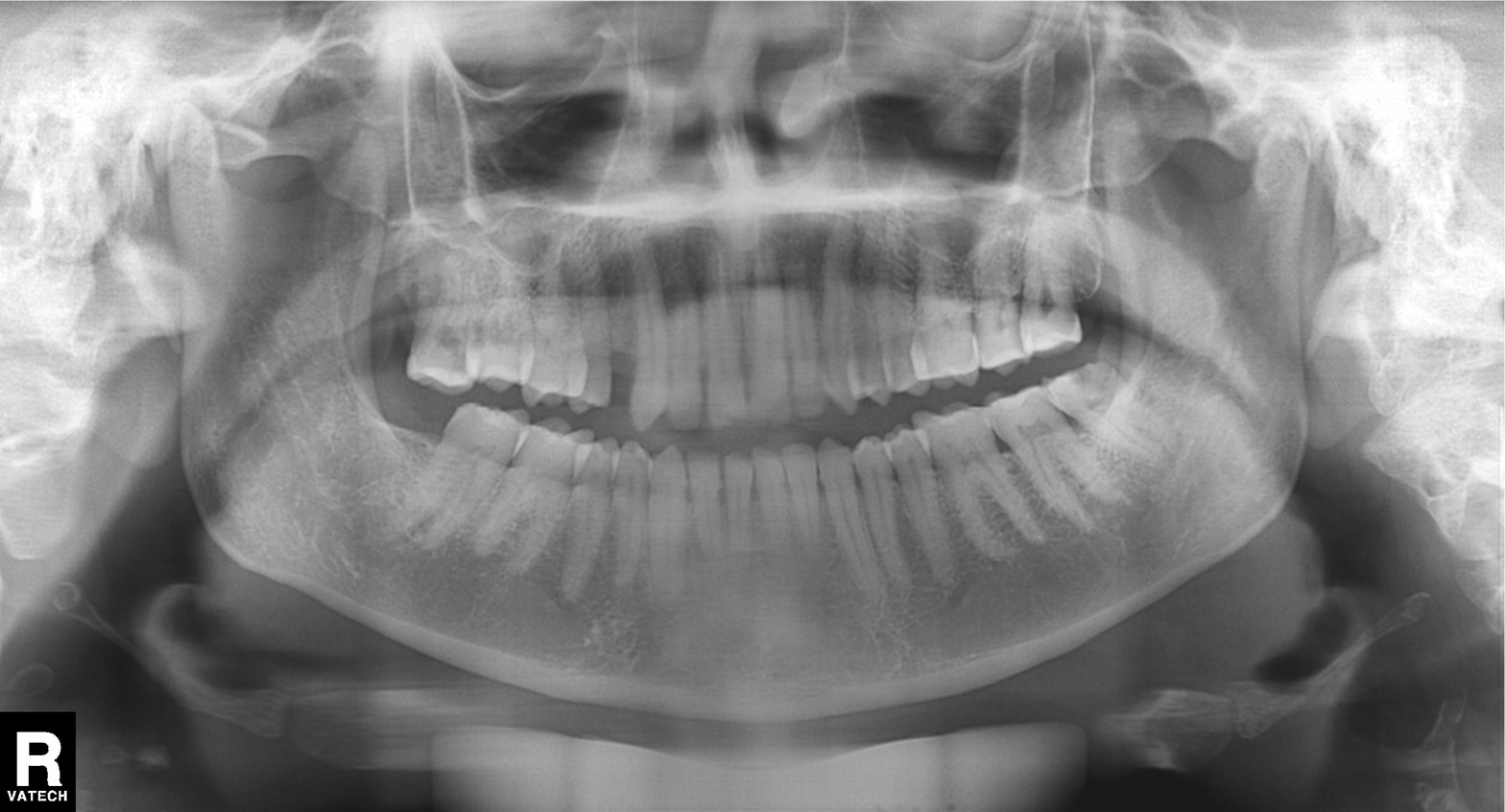
Panoramic dental radiograph (orthopantomogram). Finding: tooth impaction.